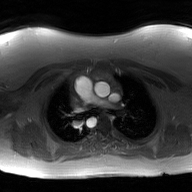
modality = 2D phase-contrast cine MRI of the ascending aorta, GAN super-resolution reconstruction